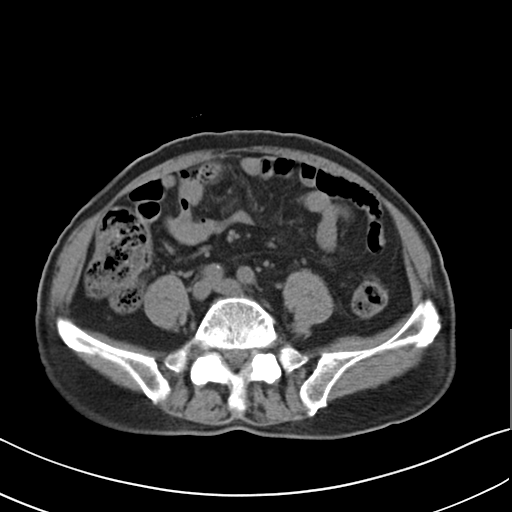
* modality: multiphase abdominal CT, liver, non-contrast phase
* patient: male, age 75
* history: prior chemotherapy